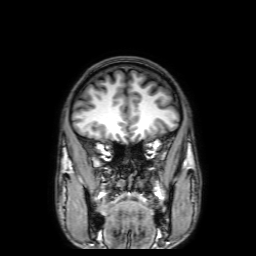
3 Tesla brain MRI. Series: 3D T1-weighted with SENSE. Study: ring-enhancing brain masses.